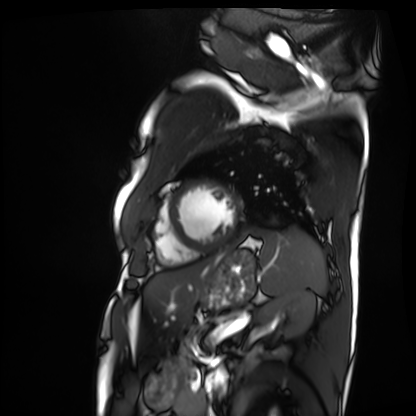
| field | value |
|---|---|
| modality | cardiac MRI |
| subject group | patient |